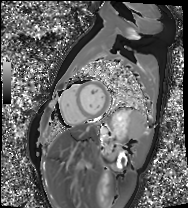
modality = cardiac MRI, subject group = healthy volunteer.